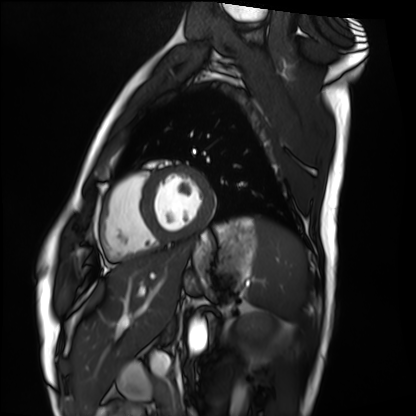
Case summary: Cardiac MRI. Subject group: healthy volunteer.